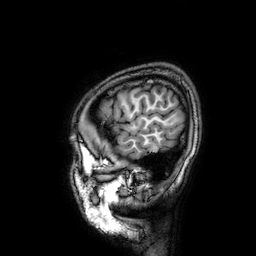
3 Tesla brain MRI.
Series: 3D T1-weighted.
Study: ring-enhancing brain masses.